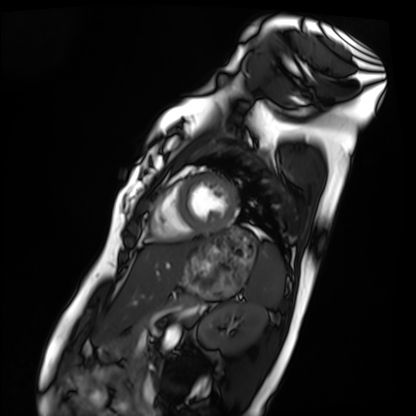
Q: What kind of scan is this?
A: Cardiac MRI.
Subject group: healthy volunteer.